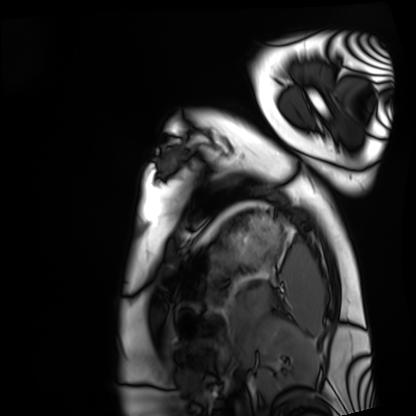
Q: What kind of scan is this?
A: Cardiac MRI.
Subject group: healthy volunteer.